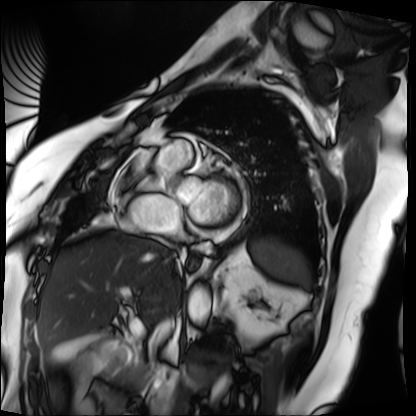
modality = cardiac MRI; subject group = patient.